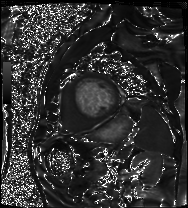
Clinical context:
Cardiac MRI. Subject group: patient.